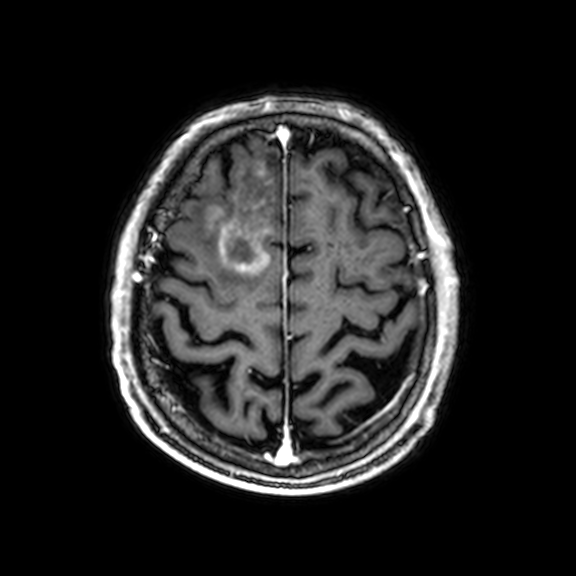
Case summary:
3 Tesla brain MRI. Study: ring-enhancing brain masses.